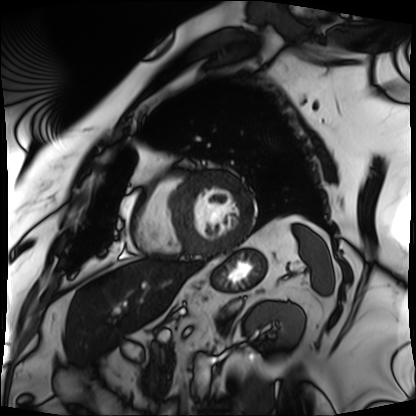
| field | value |
|---|---|
| modality | cardiac MRI |
| subject group | patient |